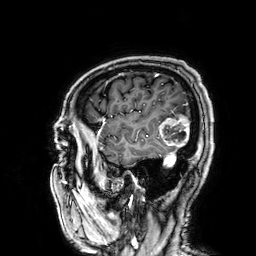
3 Tesla brain MRI. Series: 3D T1-weighted. Study: ring-enhancing brain masses.